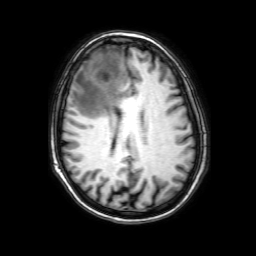
– modality: 3 Tesla brain MRI
– series: 3D T1-weighted with SENSE
– study: ring-enhancing brain masses